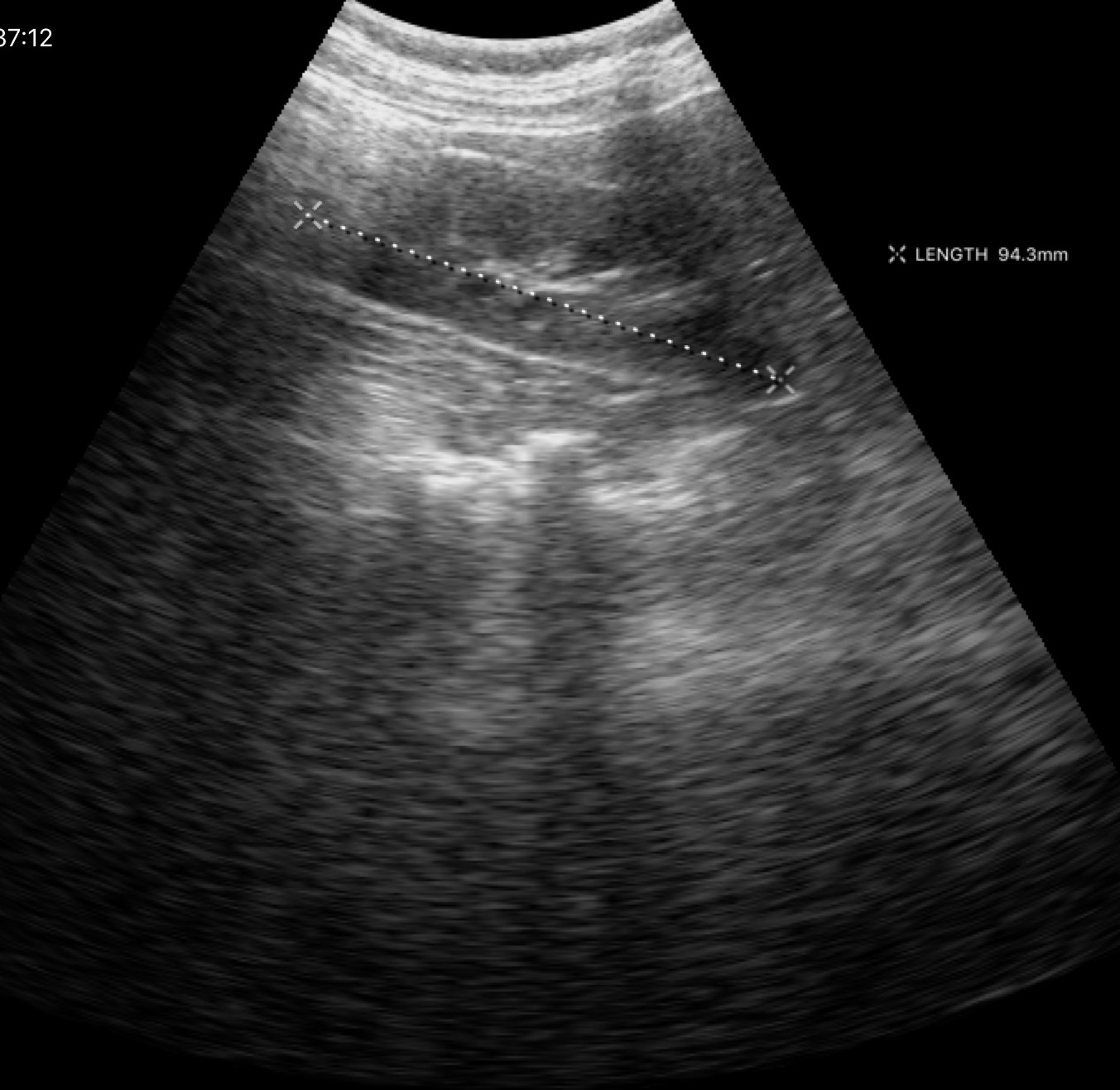
Case summary: Genitourinary ultrasound.